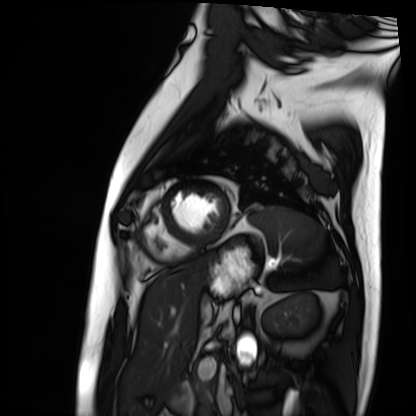
Q: What kind of scan is this?
A: Cardiac MRI.
Subject group: patient.